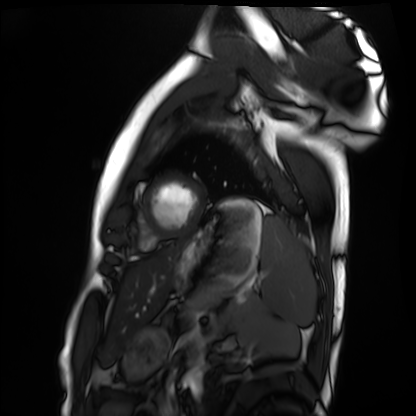
Cardiac MRI. Subject group: healthy volunteer.